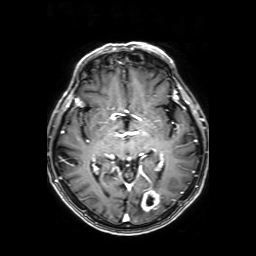
| field | value |
|---|---|
| modality | 3 Tesla brain MRI |
| series | axial T1-weighted fusion image |
| study | ring-enhancing brain masses |